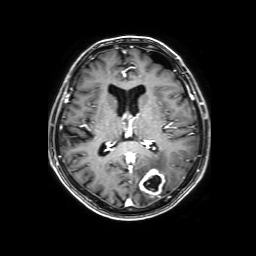
modality — 3 Tesla brain MRI
study — ring-enhancing brain masses